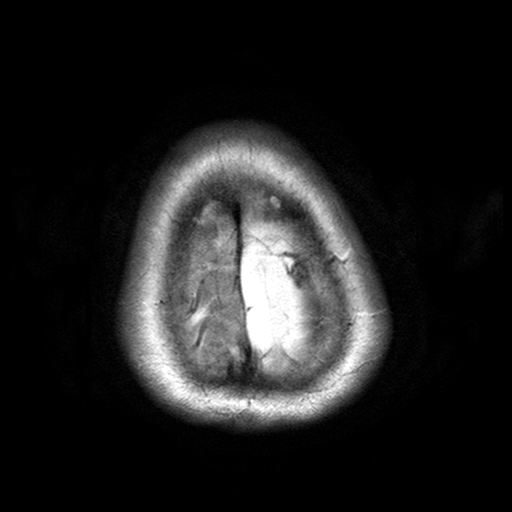
modality: 3 Tesla brain MRI | series: T2-weighted turbo spin echo with SENSE | study: ring-enhancing brain masses.